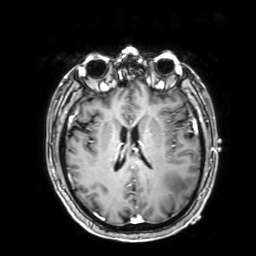
Case summary: 3 Tesla brain MRI. Series: 3D T1-weighted with SENSE. Study: ring-enhancing brain masses.